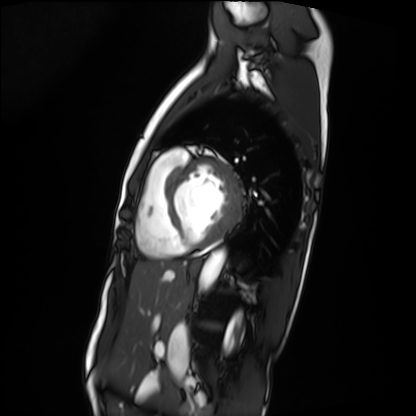
Q: What kind of scan is this?
A: Cardiac MRI.
Subject group: patient.